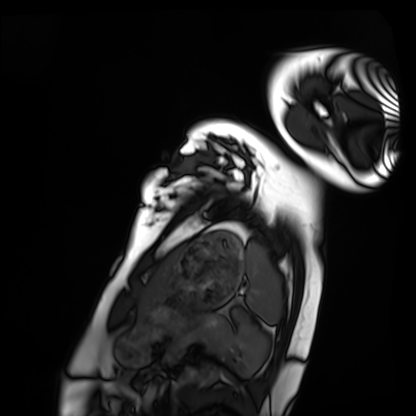
Q: What kind of scan is this?
A: Cardiac MRI.
Subject group: healthy volunteer.